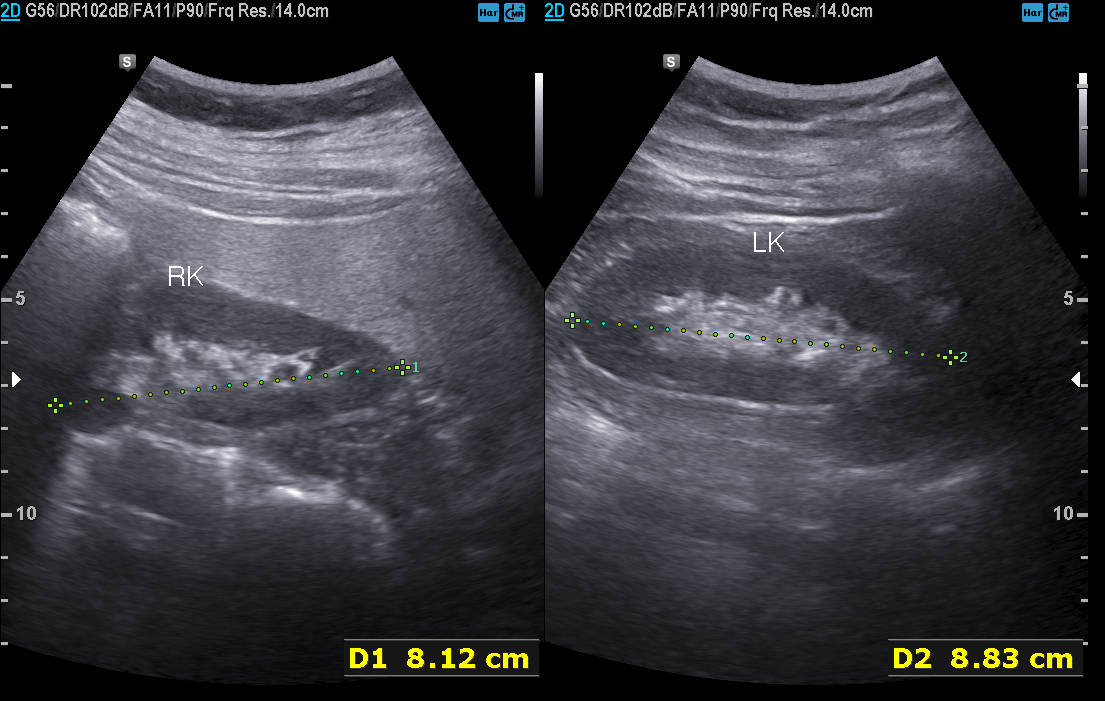
modality — genitourinary ultrasound.